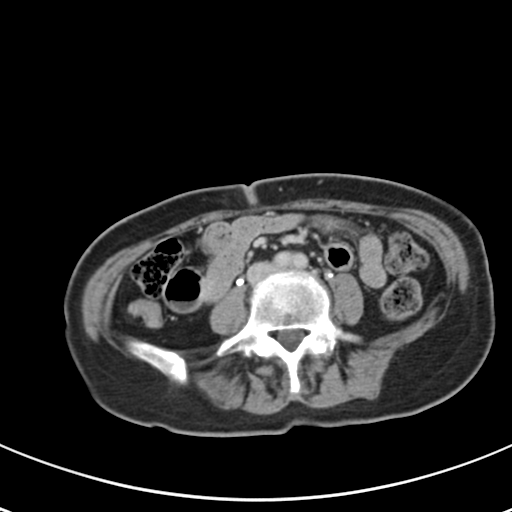
Q: What kind of scan is this?
A: Multiphase abdominal CT, liver, delayed phase.
Q: Patient?
A: Female, age 59.